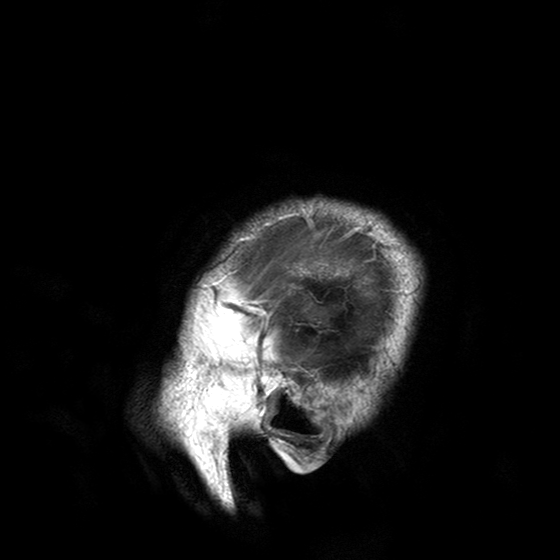
3 Tesla brain MRI.
Study: ring-enhancing brain masses.